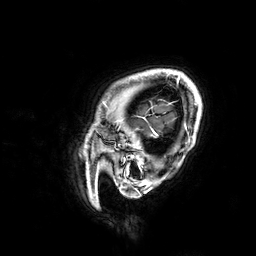
3 Tesla brain MRI. Series: 3D T1-weighted. Study: ring-enhancing brain masses.